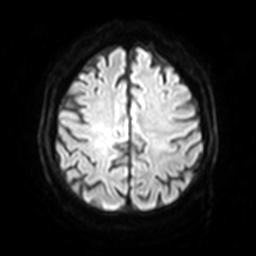
3 Tesla brain MRI. Series: diffusion-weighted imaging with SENSE (WIP). Study: ring-enhancing brain masses.